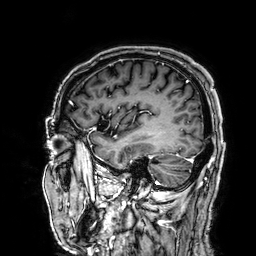
Summary:
3 Tesla brain MRI. Series: 3D T1-weighted. Study: ring-enhancing brain masses.